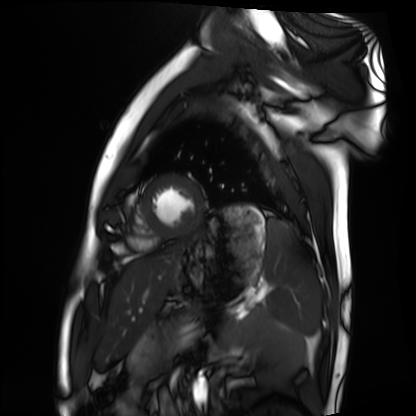
Cardiac MRI. Subject group: healthy volunteer.